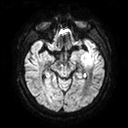
3 Tesla brain MRI.
Series: diffusion tensor imaging (medium iso).
Study: ring-enhancing brain masses.